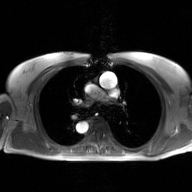
2D phase-contrast cine MRI of the ascending aorta, GAN super-resolution reconstruction.